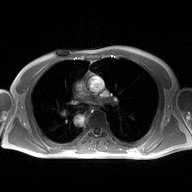
2D phase-contrast cine MRI of the ascending aorta, high-resolution GRAPPA acquisition.